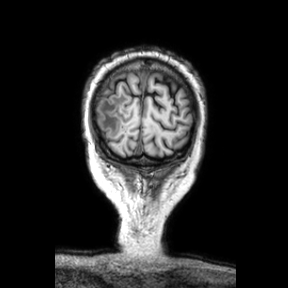
– modality — 3 Tesla brain MRI
– series — coronal
– study — ring-enhancing brain masses